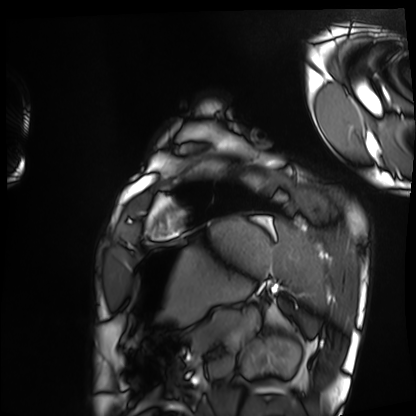
  modality: cardiac MRI
  cohort: healthy volunteer